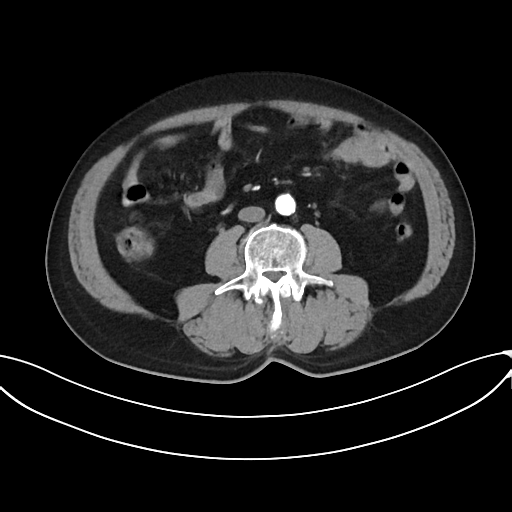
Q: What kind of scan is this?
A: Multiphase abdominal CT, liver, arterial phase.
Q: Patient?
A: Male, age 69.